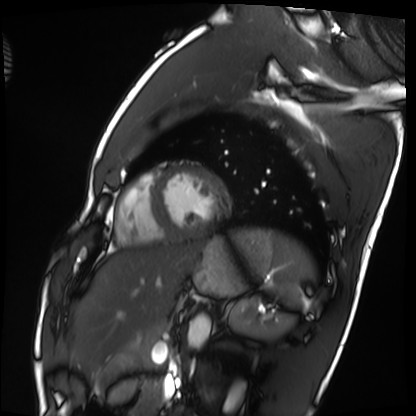
Summary:
Cardiac MRI. Subject group: healthy volunteer.